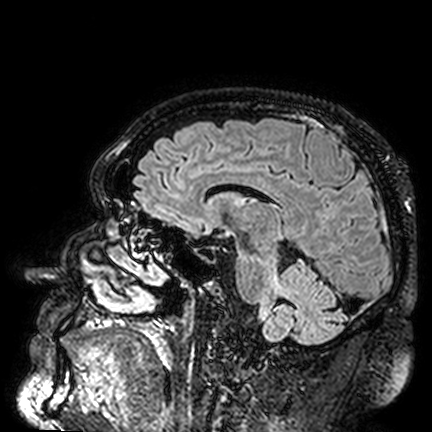
3 Tesla brain MRI. Series: FLAIR VISTA. Study: ring-enhancing brain masses.